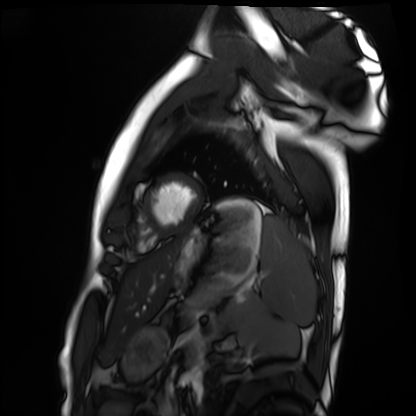
Case summary:
Cardiac MRI. Subject group: healthy volunteer.